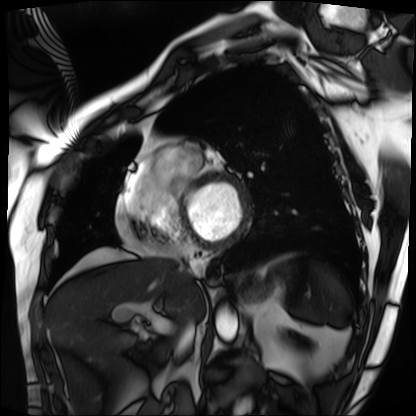
{
  "modality": "cardiac MRI",
  "cohort": "patient"
}